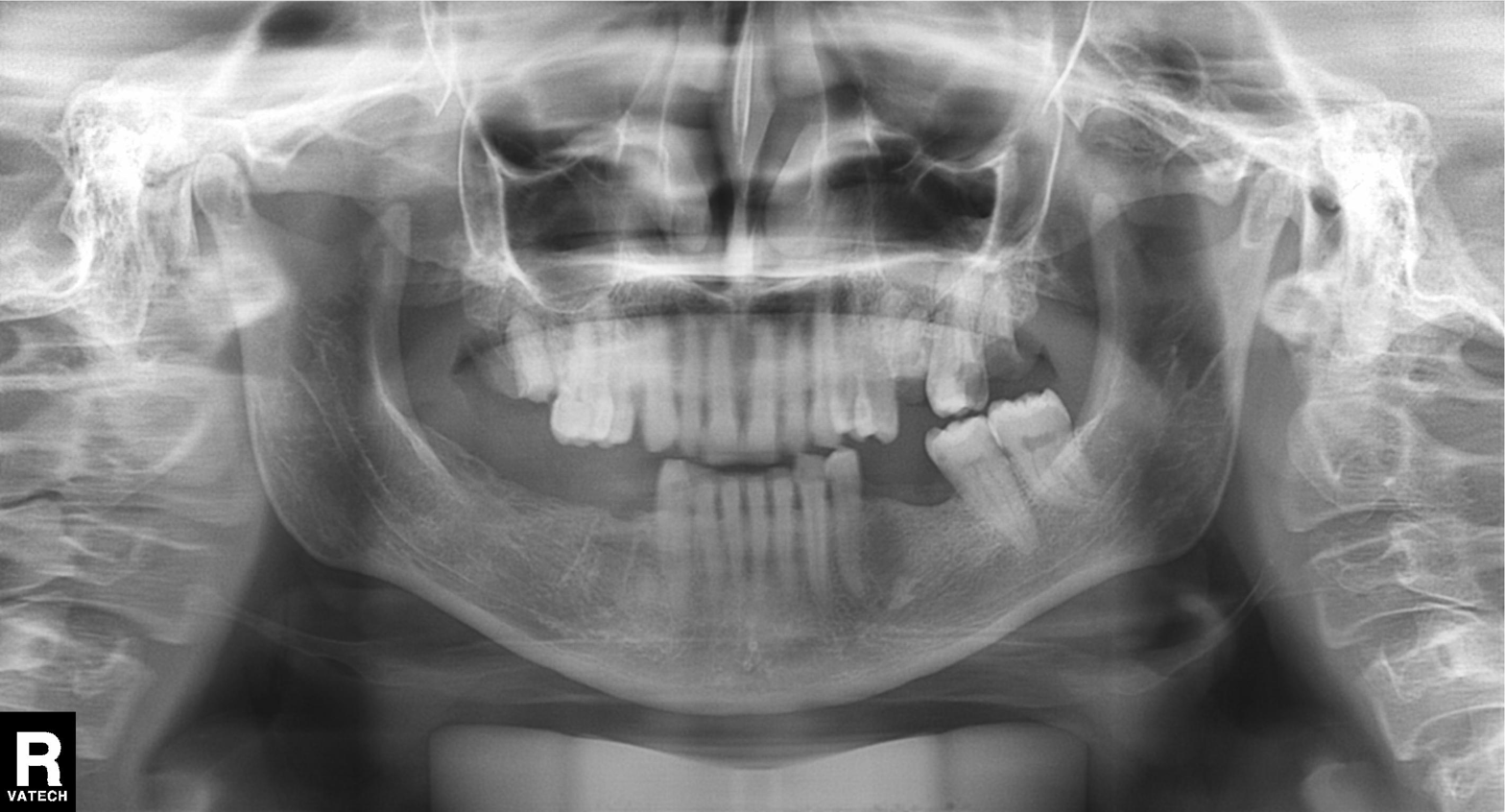
Clinical context: Panoramic dental radiograph (orthopantomogram).
Impression: Tooth impaction.